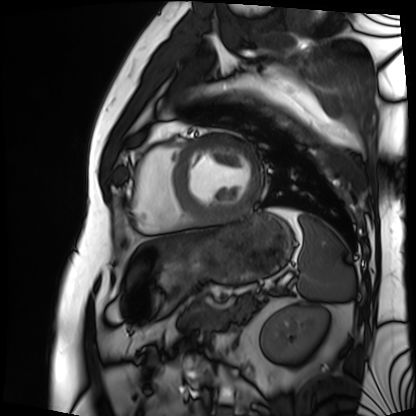
modality: cardiac MRI
subject group: patient